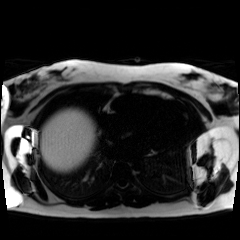
Summary:
Chemical-shift-encoded cardiac MRI.